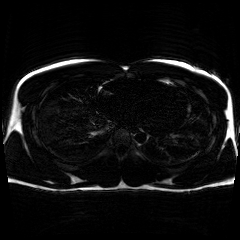
modality = chemical-shift-encoded cardiac MRI.